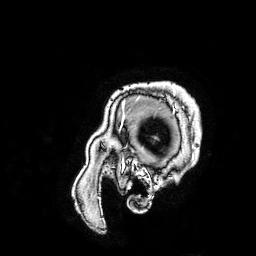
modality=3 Tesla brain MRI
series=3D T1-weighted turbo field echo with SENSE
study=ring-enhancing brain masses